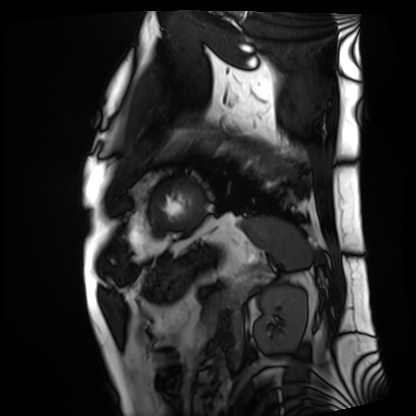
Cardiac MRI.
Subject group: patient.